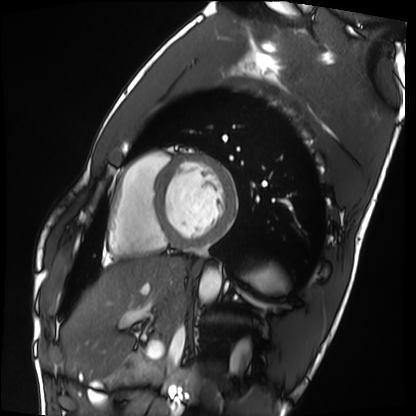
- modality — cardiac MRI
- subject group — healthy volunteer